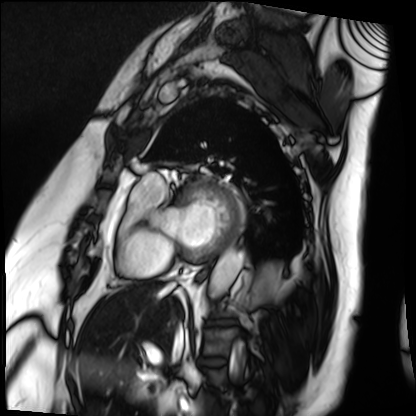
| field | value |
|---|---|
| modality | cardiac MRI |
| subject group | patient |